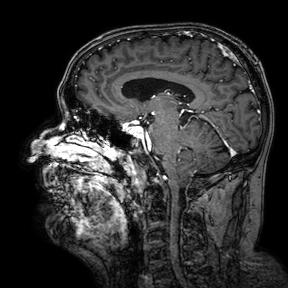
modality: 3 Tesla brain MRI; series: 3D T1-weighted turbo field echo with SENSE; study: ring-enhancing brain masses.